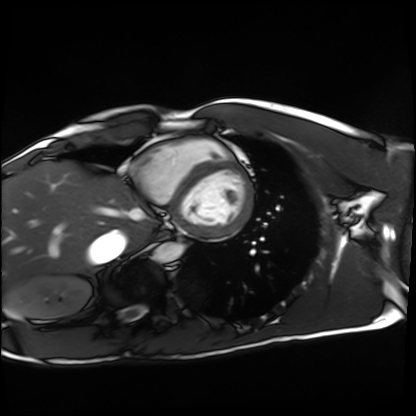
modality: cardiac MRI
subject group: healthy volunteer